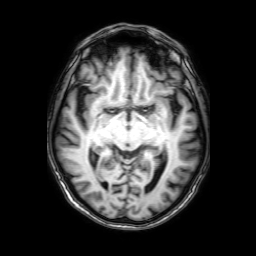
| field | value |
|---|---|
| modality | 3 Tesla brain MRI |
| series | 3D T1-weighted with SENSE |
| study | ring-enhancing brain masses |